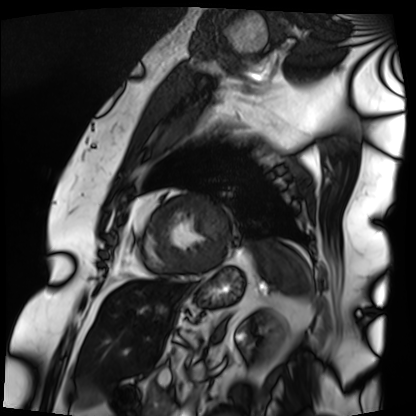
modality: cardiac MRI; subject group: patient.